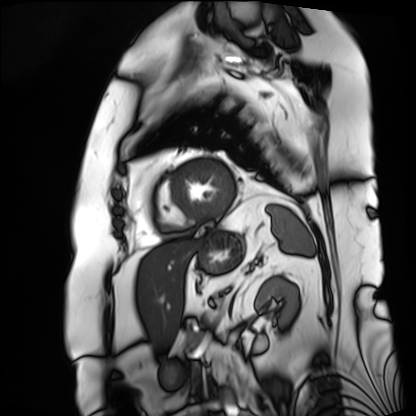
Case:
– modality: cardiac MRI
– subject group: patient